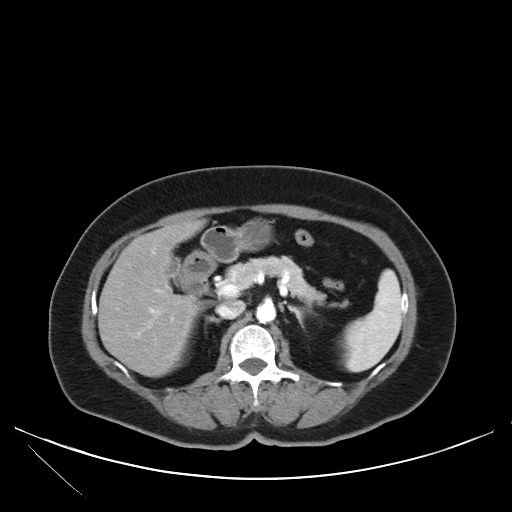
modality: multiphase abdominal CT, liver, arterial phase | patient: female, age 71 | history: viral hepatitis.